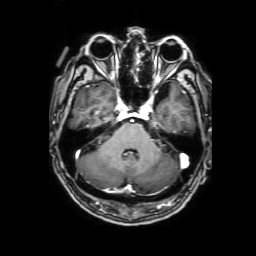
Q: What kind of scan is this?
A: 3 Tesla brain MRI.
Q: Series?
A: 3D T1-weighted with SENSE.
Study: ring-enhancing brain masses.